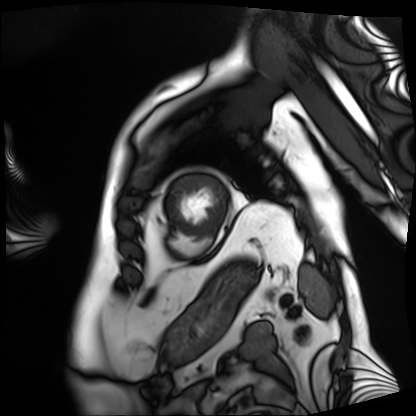
{"modality": "cardiac MRI", "cohort": "patient"}